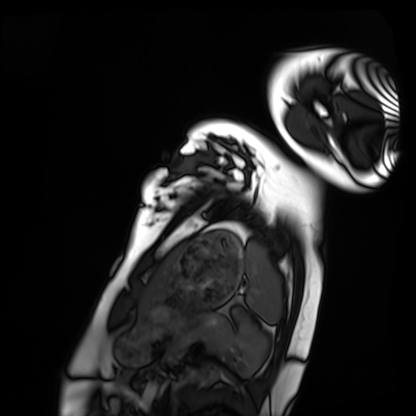
| field | value |
|---|---|
| modality | cardiac MRI |
| subject group | healthy volunteer |